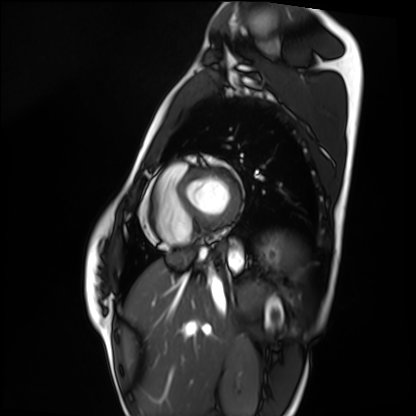
modality = cardiac MRI, subject group = healthy volunteer.